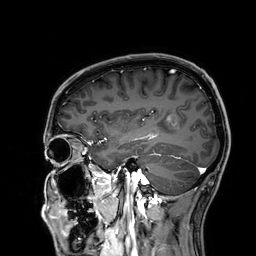
| field | value |
|---|---|
| modality | 3 Tesla brain MRI |
| series | 3D T1-weighted |
| study | ring-enhancing brain masses |